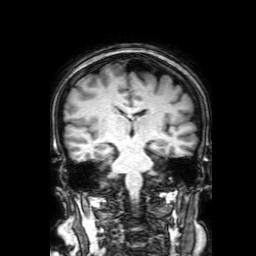
• modality — 3 Tesla brain MRI
• series — 3D T1-weighted with SENSE
• study — ring-enhancing brain masses